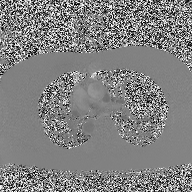
modality: 2D phase-contrast cine MRI of the ascending aorta.